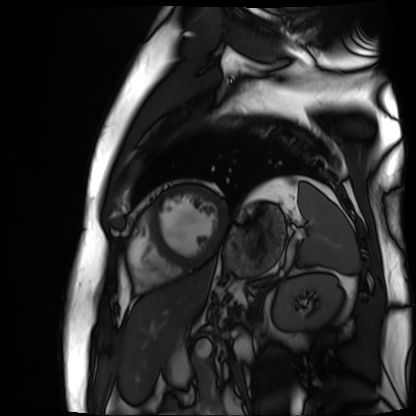
Cardiac MR image of the myocardium. Subject cohort: cardiac patient.